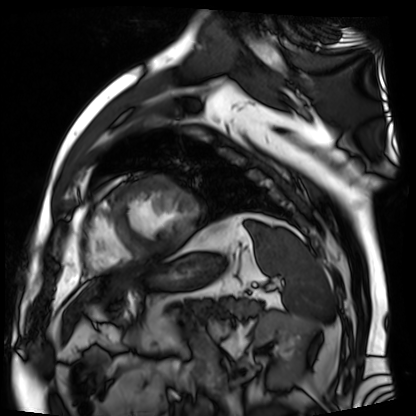
Summary:
Cardiac MR image of the myocardium. Subject cohort: cardiac patient.